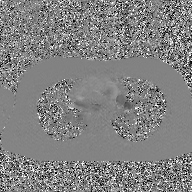
Q: What kind of scan is this?
A: 2D phase-contrast cine MRI of the ascending aorta, GAN super-resolution reconstruction.